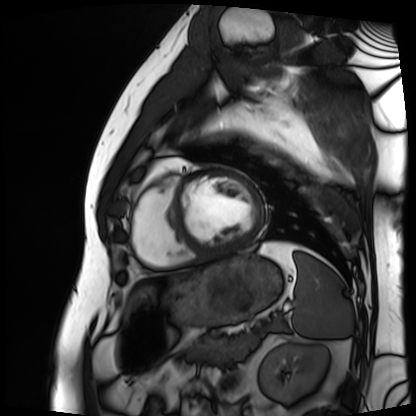
Clinical context: Cardiac MRI. Subject group: patient.